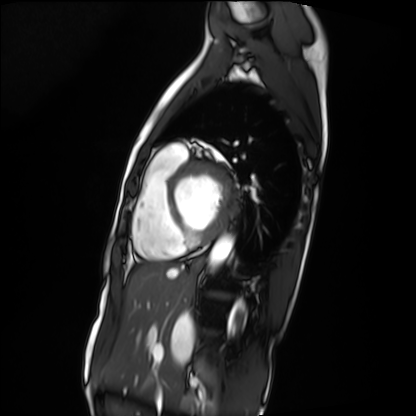
Cardiac MRI.
Subject group: patient.